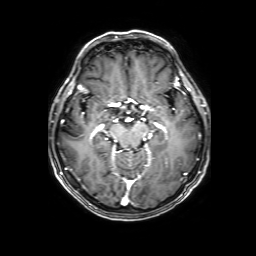
modality = 3 Tesla brain MRI
series = 3D T1-weighted with SENSE
study = ring-enhancing brain masses